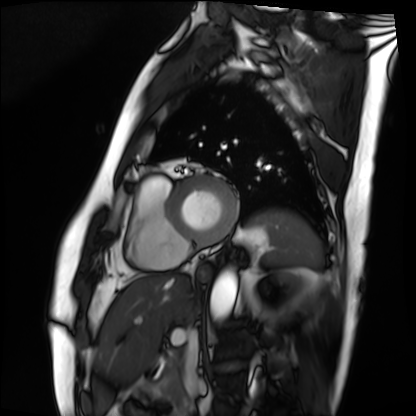
modality=cardiac MRI; subject group=patient.